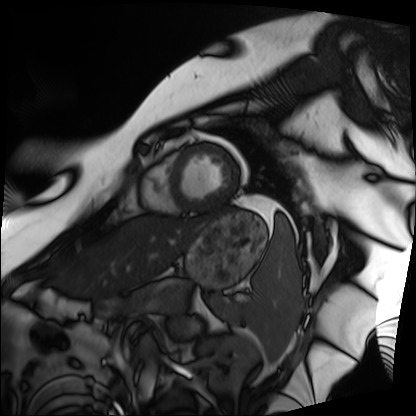
Cardiac MRI. Subject group: patient.